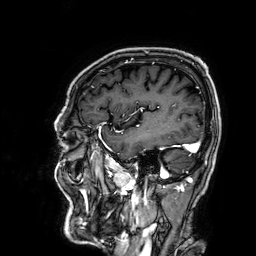
{
  "modality": {
    "type": "brain MRI",
    "field_strength": "3T"
  },
  "series": "3D T1-weighted",
  "study_topic": "ring-enhancing brain masses"
}